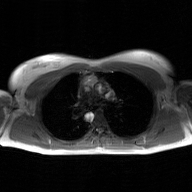
– modality: 2D phase-contrast cine MRI of the ascending aorta, GAN super-resolution reconstruction